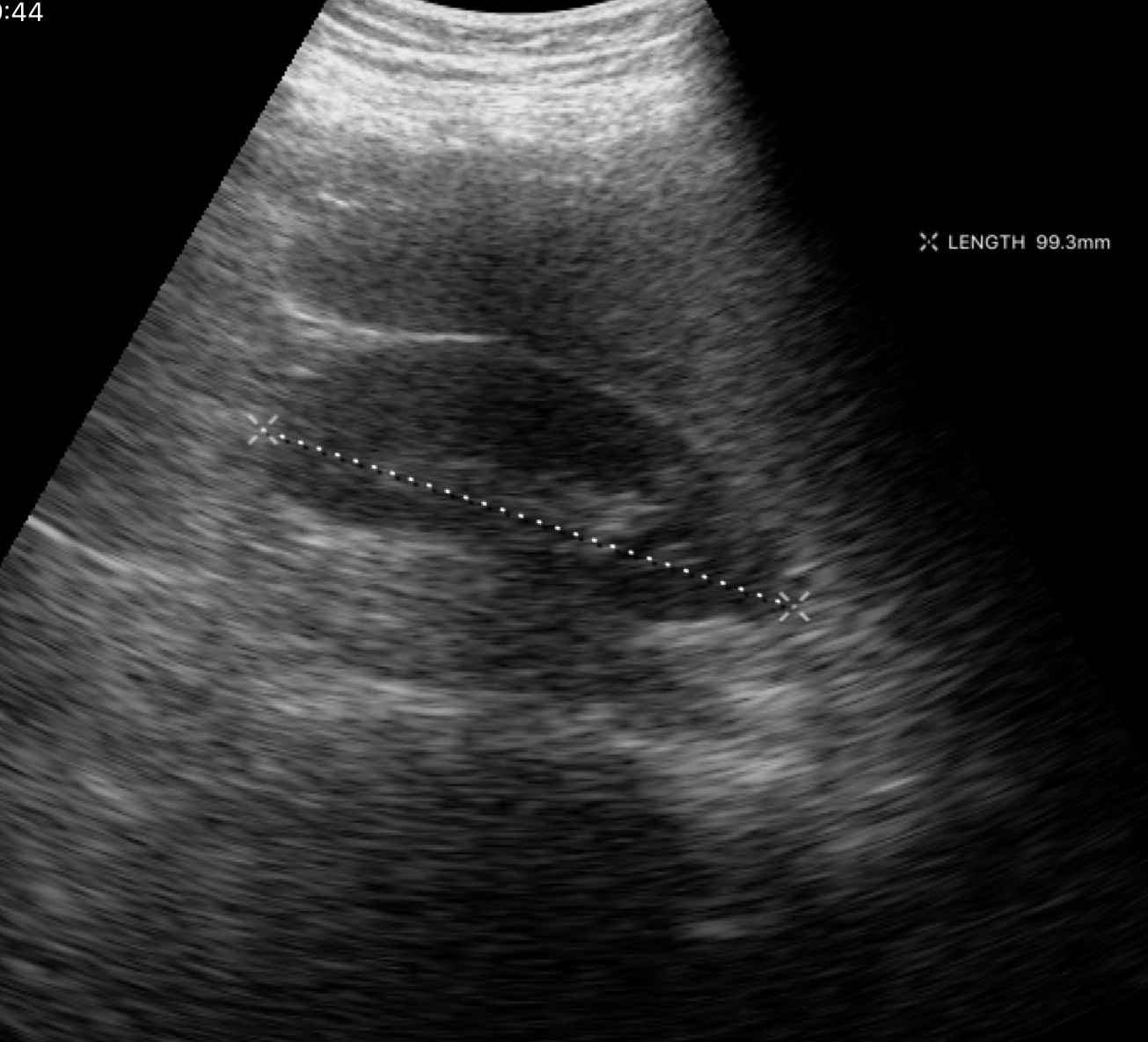
| field | value |
|---|---|
| modality | genitourinary ultrasound |